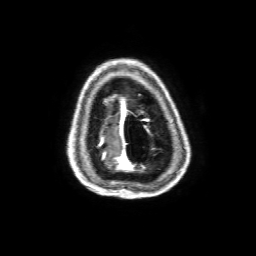
3 Tesla brain MRI. Series: 3D T1-weighted with SENSE. Study: ring-enhancing brain masses.